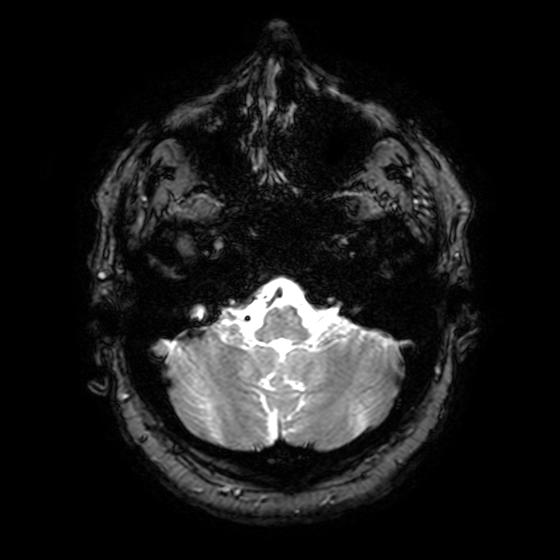
Case summary:
3 Tesla brain MRI. Series: T2-weighted fast field echo with SENSE. Study: ring-enhancing brain masses.